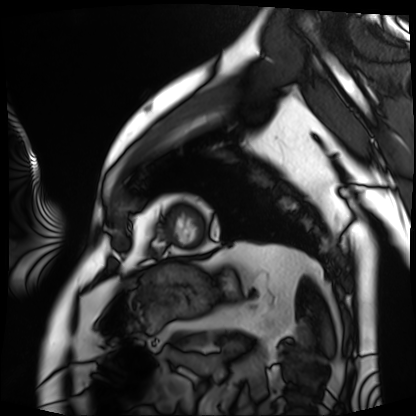
modality: cardiac MRI
subject group: patient